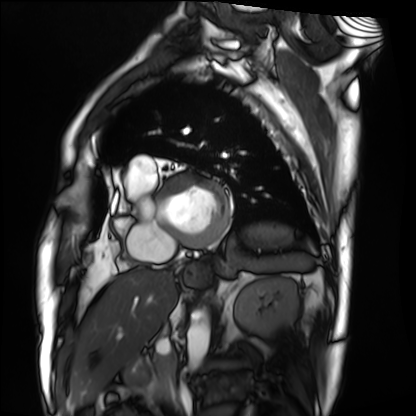
| field | value |
|---|---|
| modality | cardiac MRI |
| subject group | patient |